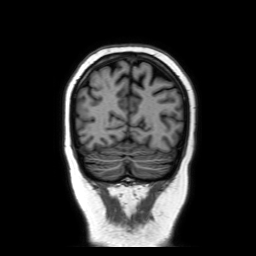
<scan>
<modality>
  <type>brain MRI</type>
  <field_strength>3T</field_strength>
</modality>
<series>coronal without contrast</series>
<study_topic>ring-enhancing brain masses</study_topic>
</scan>